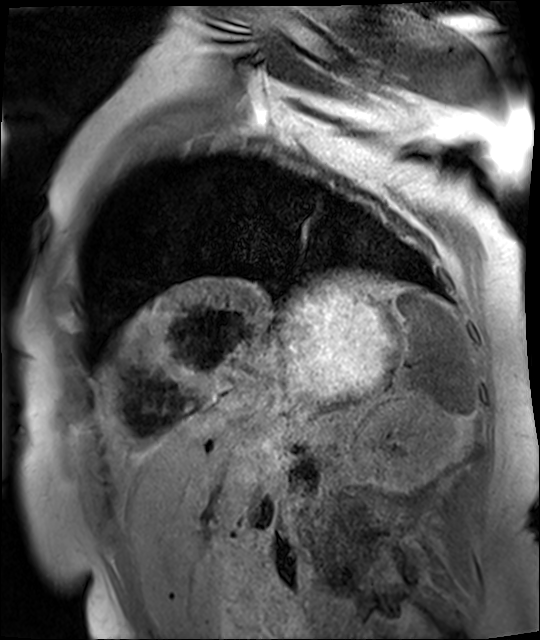
Cardiac MR image of the myocardium.
Subject cohort: cardiac patient.